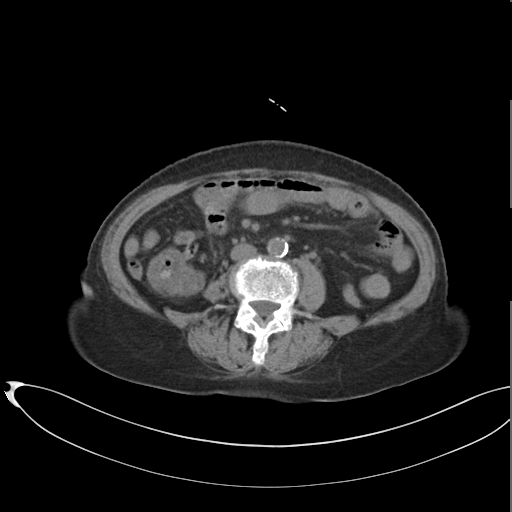
Multiphase abdominal CT, liver, non-contrast phase. Patient: female, age 75. History: cirrhosis.